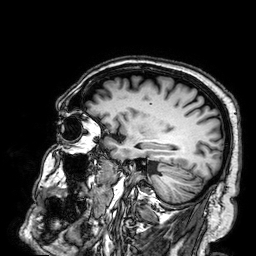
3 Tesla brain MRI. Series: 3D T1-weighted. Study: ring-enhancing brain masses.